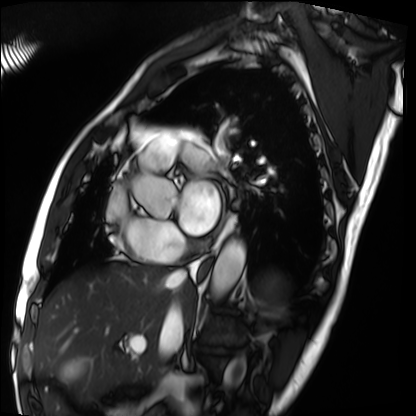
Summary: Cardiac MRI. Subject group: patient.